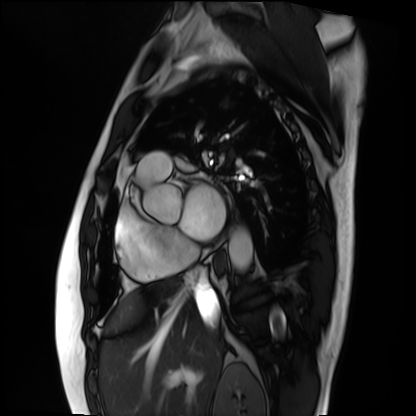
modality — cardiac MRI; subject group — patient.